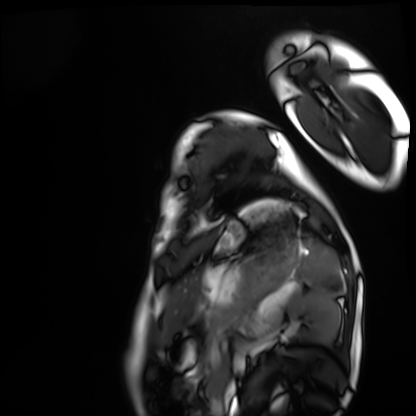
modality: cardiac MRI | subject group: healthy volunteer.